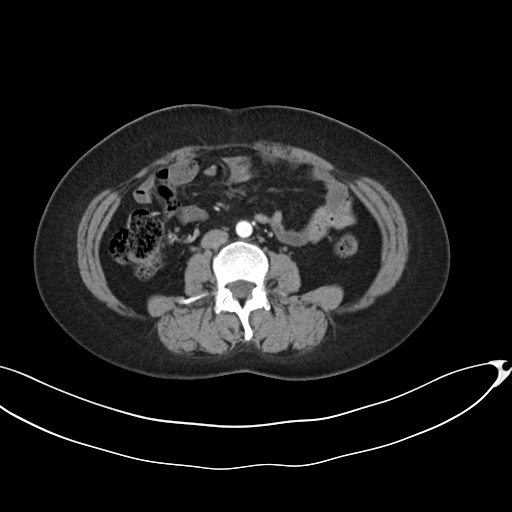
Multiphase abdominal CT, liver, arterial phase. Patient: female, age 42.